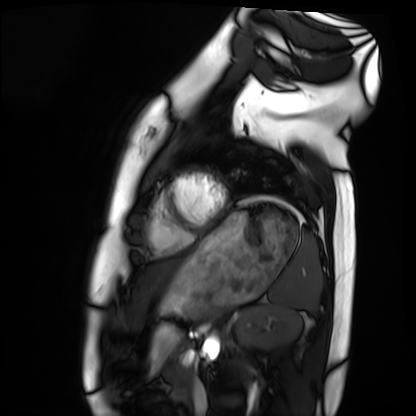
Cardiac MRI. Subject group: healthy volunteer.